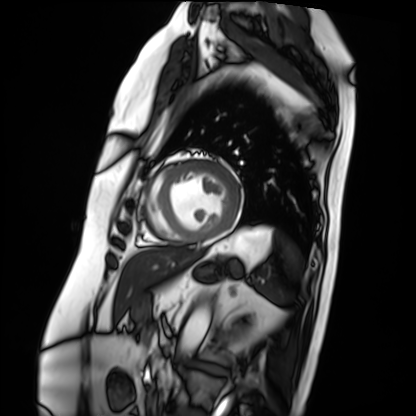
Case summary:
Cardiac MRI. Subject group: patient.